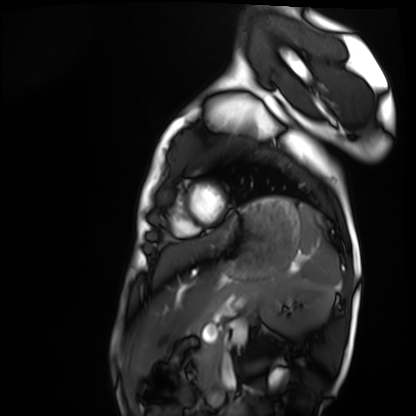
• modality: cardiac MRI
• subject group: healthy volunteer